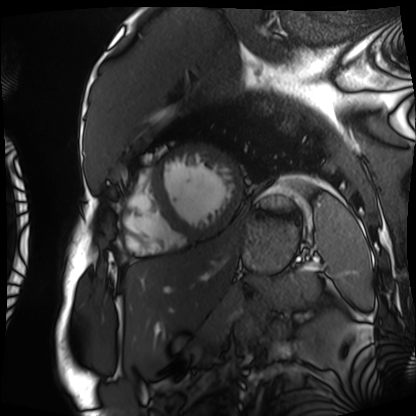
modality: cardiac MRI
subject group: patient